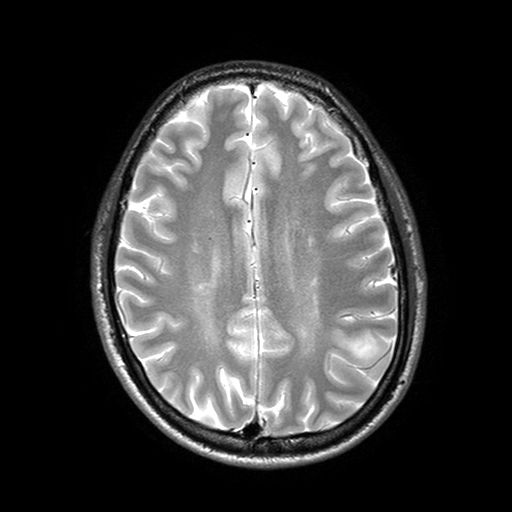
3 Tesla brain MRI.
Series: T2-weighted turbo spin echo with SENSE.
Study: ring-enhancing brain masses.